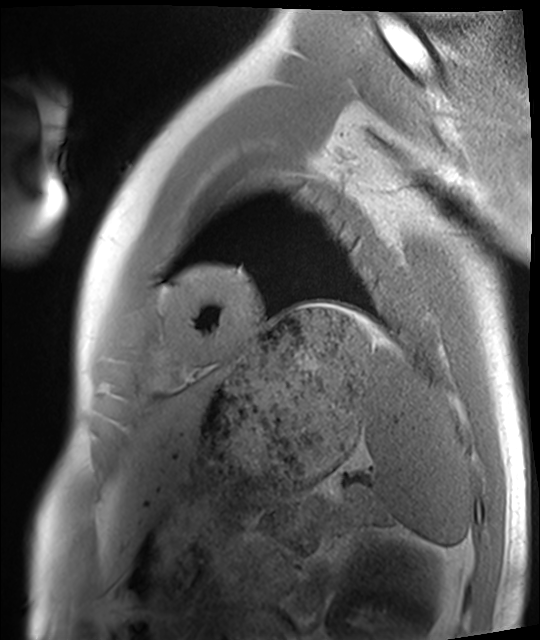
{
  "modality": "cardiac MRI",
  "cohort": "healthy volunteer"
}